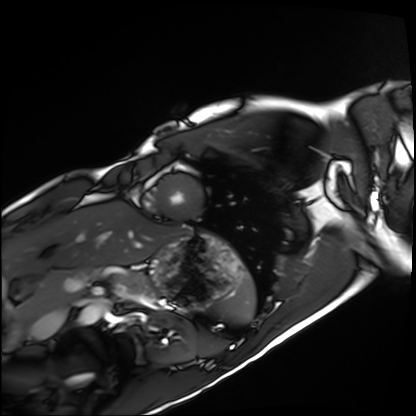
Cardiac MRI. Subject group: healthy volunteer.